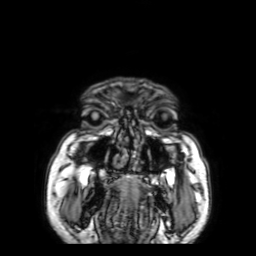
modality: 3 Tesla brain MRI
series: 3D T1-weighted with SENSE
study: ring-enhancing brain masses